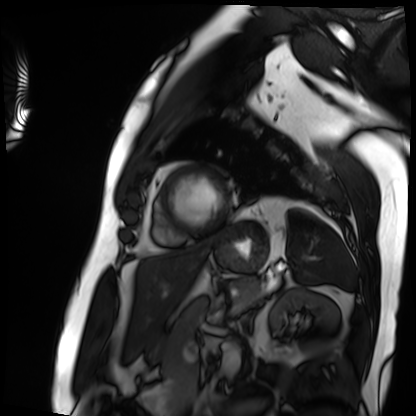
Cardiac MRI. Subject group: patient.